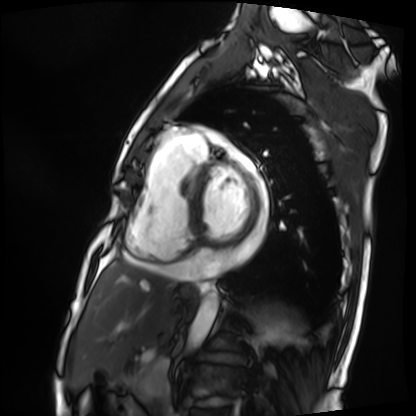
Cardiac MRI.
Subject group: patient.